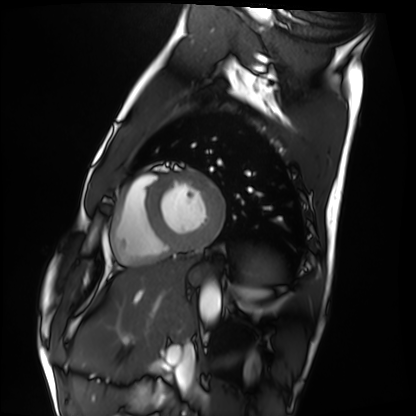
• modality: cardiac MRI
• subject group: healthy volunteer